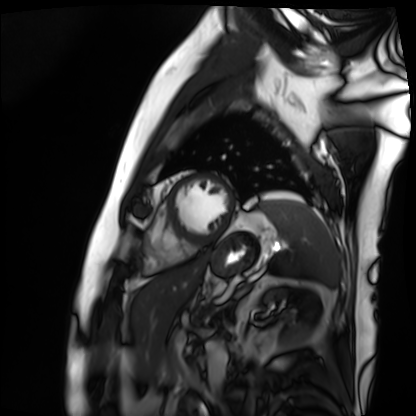
modality — cardiac MRI | subject group — patient.